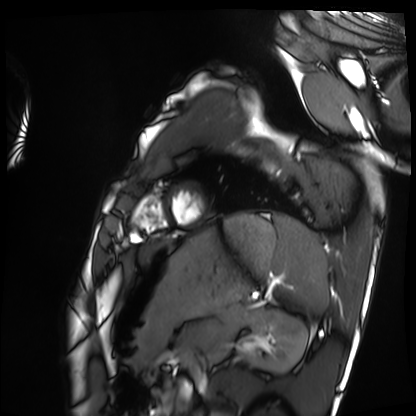
Summary: Cardiac MRI. Subject group: healthy volunteer.